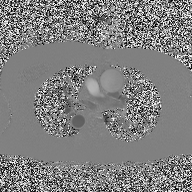
<scan>
<modality>
  <type>2D phase-contrast cine MRI</type>
  <region>ascending aorta</region>
  <reconstruction>high-resolution GRAPPA acquisition</reconstruction>
</modality>
</scan>